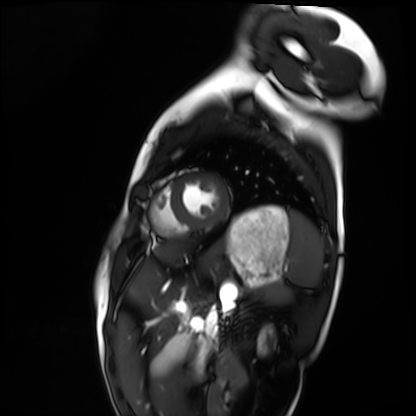
Q: What kind of scan is this?
A: Cardiac MRI.
Subject group: healthy volunteer.